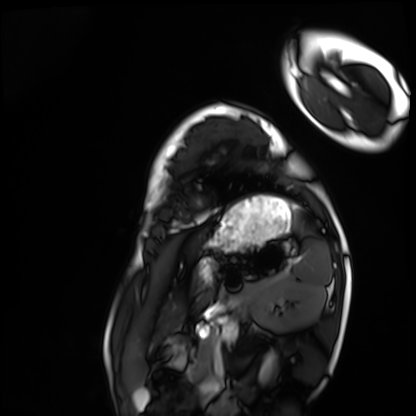
Q: What kind of scan is this?
A: Cardiac MRI.
Subject group: healthy volunteer.